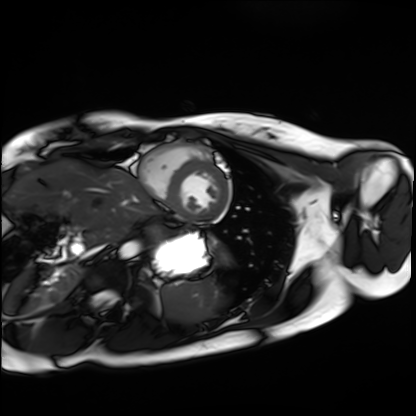
Case:
* modality: cardiac MRI
* subject group: healthy volunteer